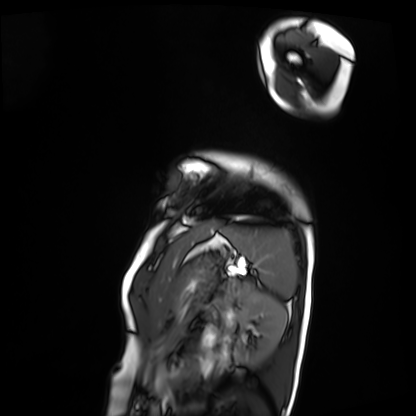
| field | value |
|---|---|
| modality | cardiac MRI |
| subject group | patient |